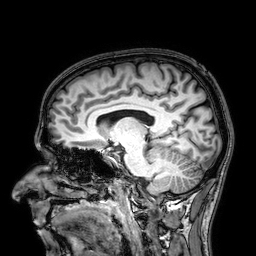
3 Tesla brain MRI. Series: 3D T1-weighted. Study: ring-enhancing brain masses.